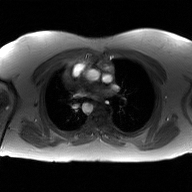
modality = 2D phase-contrast cine MRI of the ascending aorta, GAN super-resolution reconstruction